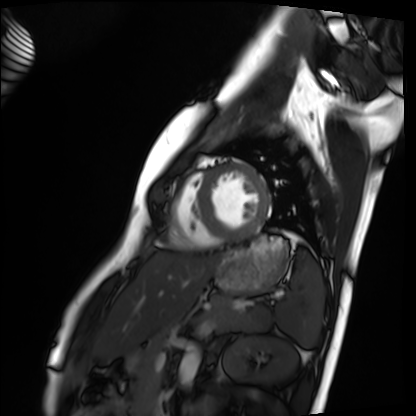
Clinical context:
Cardiac MRI. Subject group: healthy volunteer.